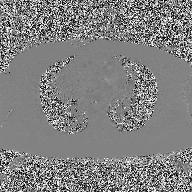
Case summary: 2D phase-contrast cine MRI of the ascending aorta, high-resolution GRAPPA acquisition.